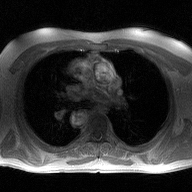
2D phase-contrast cine MRI of the ascending aorta, high-resolution GRAPPA acquisition.